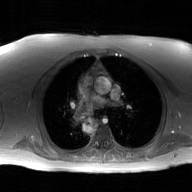
Q: What kind of scan is this?
A: 2D phase-contrast cine MRI of the ascending aorta, GAN super-resolution reconstruction.